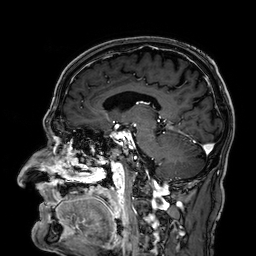
Case:
– modality: 3 Tesla brain MRI
– series: 3D T1-weighted
– study: ring-enhancing brain masses